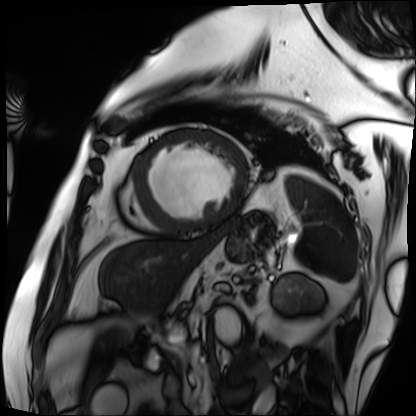
{"modality": "cardiac MRI", "cohort": "patient"}